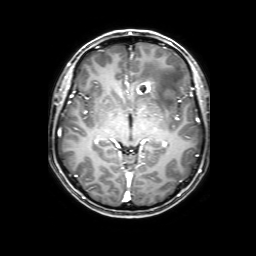
3 Tesla brain MRI.
Series: 3D T1-weighted with SENSE.
Study: ring-enhancing brain masses.